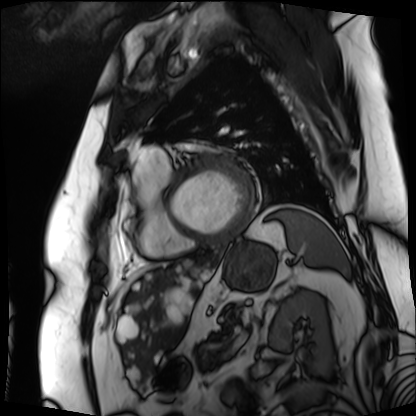
Cardiac MRI. Subject group: patient.